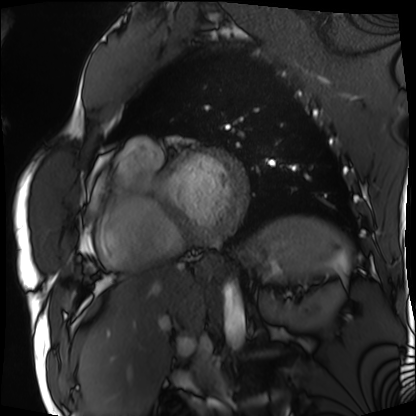
{"modality": "cardiac MRI", "cohort": "patient"}